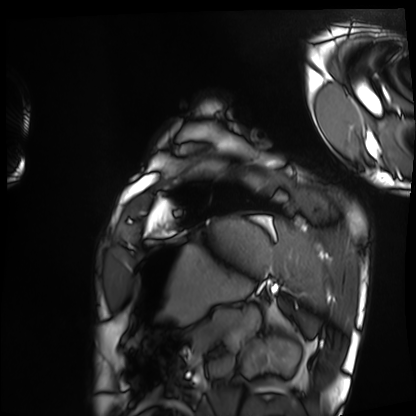
Cardiac MRI. Subject group: healthy volunteer.